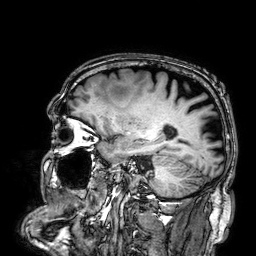
modality:
  type: brain MRI
  field_strength: 3T
series: 3D T1-weighted
study_topic: ring-enhancing brain masses